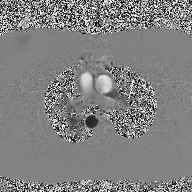
2D phase-contrast cine MRI of the ascending aorta, high-resolution GRAPPA acquisition.